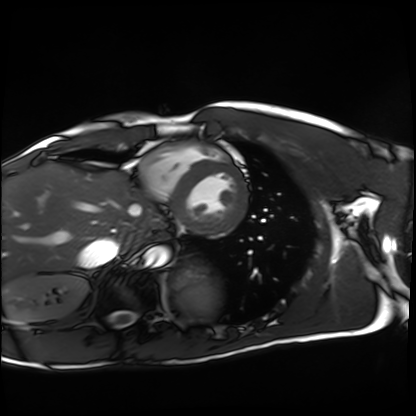
Q: What kind of scan is this?
A: Cardiac MRI.
Subject group: healthy volunteer.